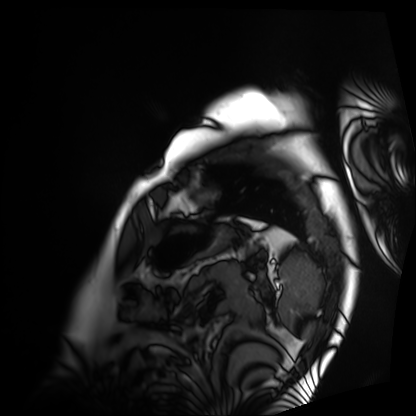
{"modality": "cardiac MRI", "cohort": "patient"}